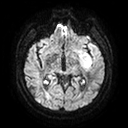
Summary:
3 Tesla brain MRI. Series: diffusion tensor imaging (medium iso). Study: ring-enhancing brain masses.